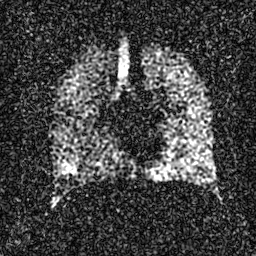
Summary: Hyperpolarized 129Xe ventilation MRI of the lungs. SNR level 4 of 8 (the deposit holds this scan as its native image and as seven SNR-degraded versions).